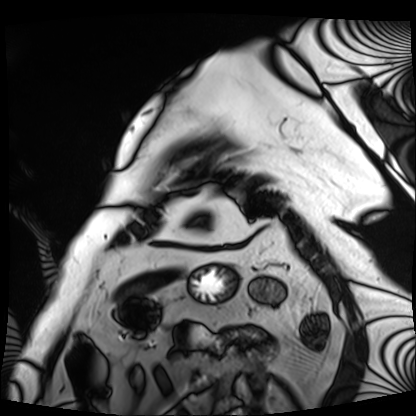
Q: What kind of scan is this?
A: Cardiac MRI.
Subject group: patient.